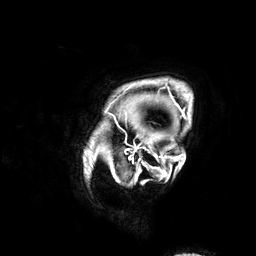
Q: What kind of scan is this?
A: 3 Tesla brain MRI.
Study: ring-enhancing brain masses.